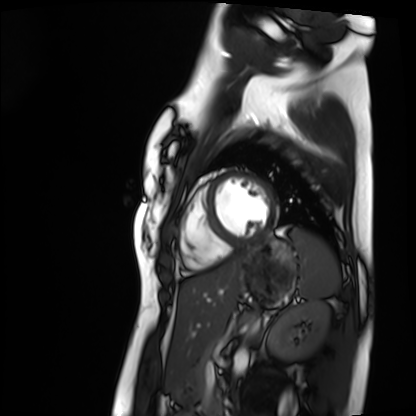
| field | value |
|---|---|
| modality | cardiac MRI |
| subject group | healthy volunteer |